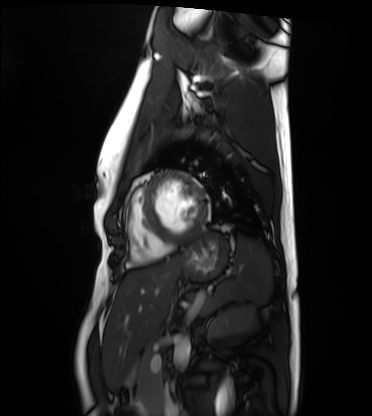
Cardiac MRI. Subject group: healthy volunteer.